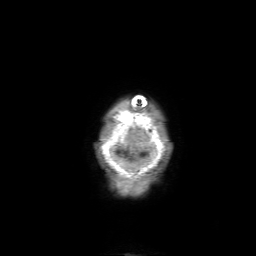
Case summary: 3 Tesla brain MRI. Series: 3D T1-weighted with SENSE. Study: ring-enhancing brain masses.